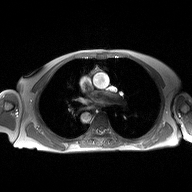
{"modality": {"type": "2D phase-contrast cine MRI", "region": "ascending aorta", "reconstruction": "high-resolution GRAPPA acquisition"}}